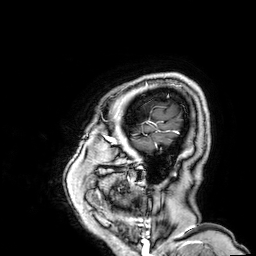
Case:
– modality — 3 Tesla brain MRI
– series — 3D T1-weighted
– study — ring-enhancing brain masses